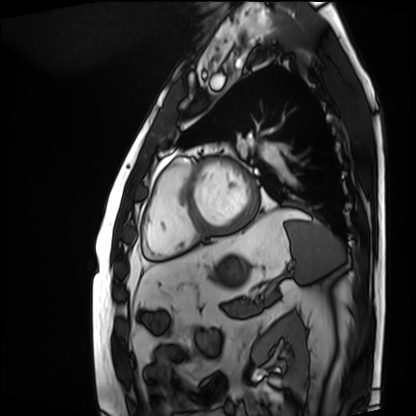
modality = cardiac MRI, subject group = patient.